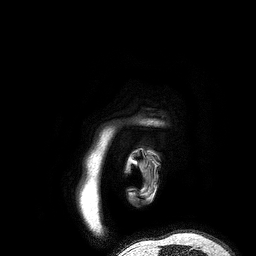
* modality: 3 Tesla brain MRI
* series: 3D T1-weighted turbo field echo
* study: ring-enhancing brain masses